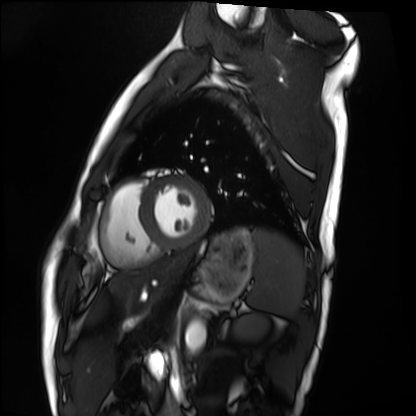
Cardiac MRI. Subject group: healthy volunteer.